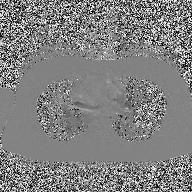
2D phase-contrast cine MRI of the ascending aorta, high-resolution GRAPPA acquisition.